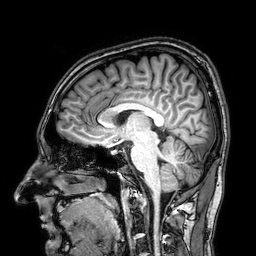
Case:
• modality — 3 Tesla brain MRI
• series — 3D T1-weighted
• study — ring-enhancing brain masses